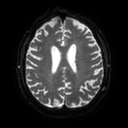
Case summary:
3 Tesla brain MRI. Series: diffusion tensor imaging (medium iso). Study: ring-enhancing brain masses.